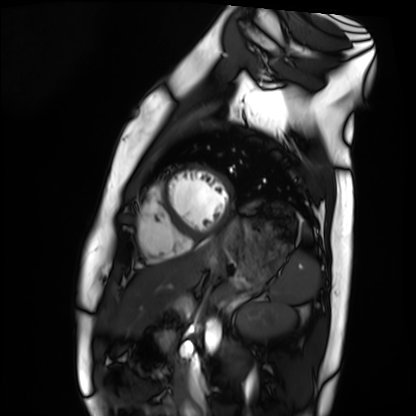
– modality: cardiac MRI
– subject group: healthy volunteer